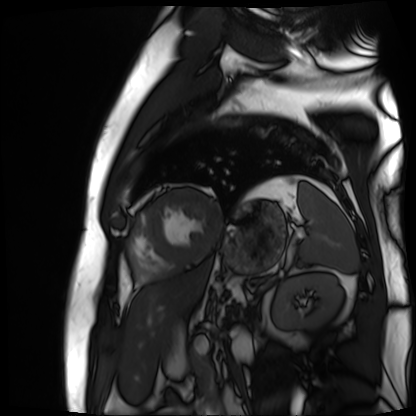
Cardiac MR image of the myocardium.
Subject cohort: cardiac patient.